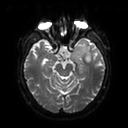
- modality — 3 Tesla brain MRI
- series — diffusion tensor imaging (medium iso)
- study — ring-enhancing brain masses